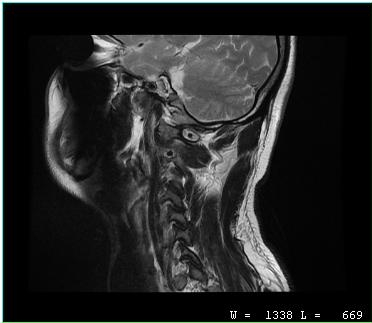
Q: What kind of scan is this?
A: MRI of the cervical spine.
Study: cervical spondylosis.